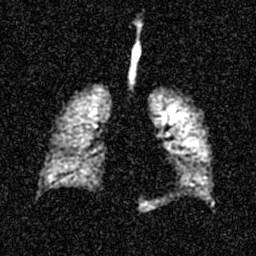
Hyperpolarized 129Xe ventilation MRI of the lungs. SNR level 4 of 8 (the deposit holds this scan as its native image and as seven SNR-degraded versions).